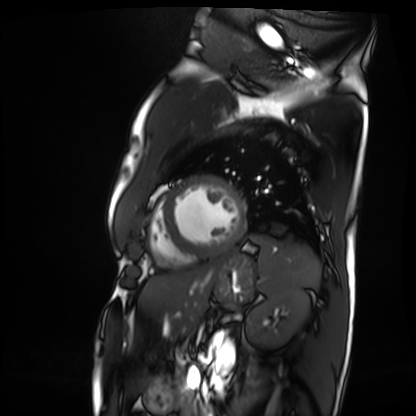
| field | value |
|---|---|
| modality | cardiac MRI |
| subject group | patient |